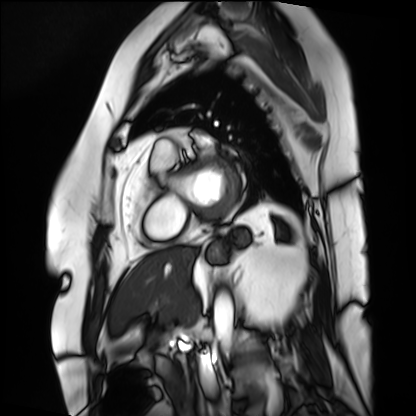
Case:
* modality: cardiac MRI
* subject group: patient